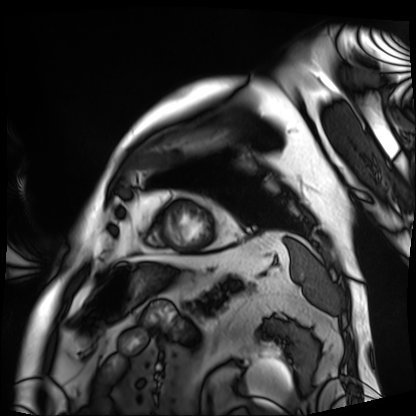
Cardiac MRI. Subject group: patient.